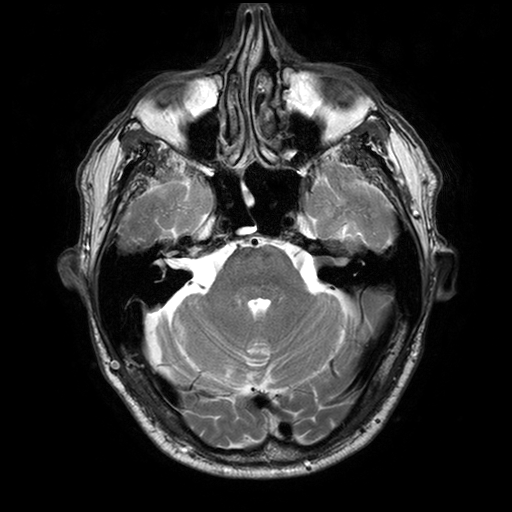
modality:
  type: brain MRI
  field_strength: 3T
series: T2-weighted turbo spin echo with SENSE
study_topic: ring-enhancing brain masses